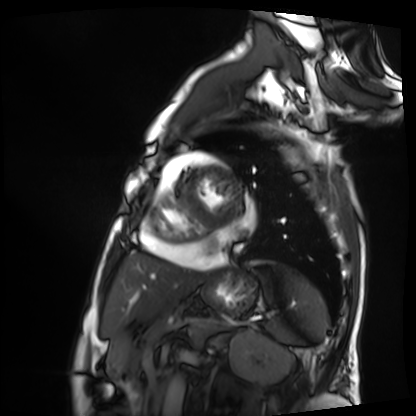
Cardiac MRI. Subject group: patient.